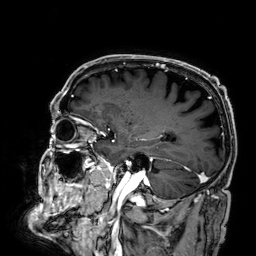
3 Tesla brain MRI.
Series: 3D T1-weighted.
Study: ring-enhancing brain masses.